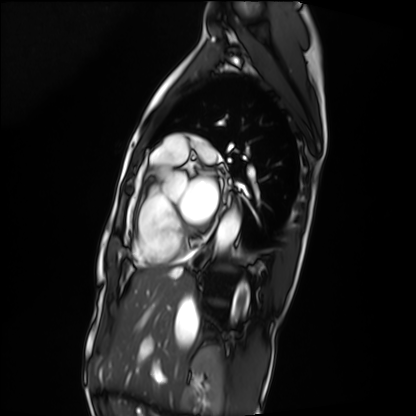
Summary: Cardiac MRI. Subject group: patient.